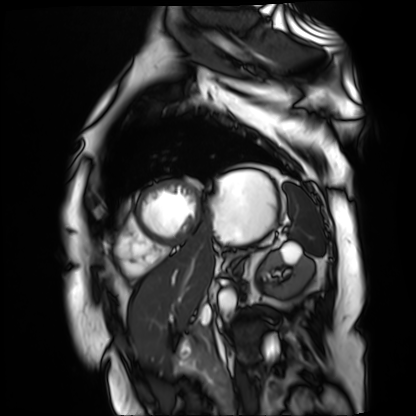
Case:
• modality — cardiac MR image of the myocardium
• subject cohort — cardiac patient